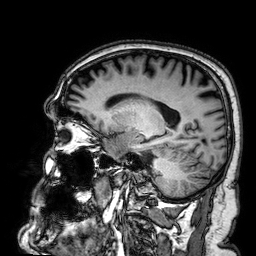
{
  "modality": {
    "type": "brain MRI",
    "field_strength": "3T"
  },
  "series": "3D T1-weighted",
  "study_topic": "ring-enhancing brain masses"
}